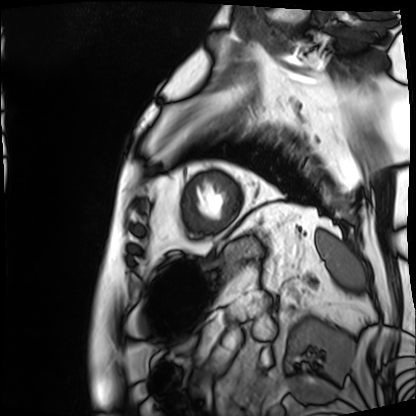
– modality · cardiac MRI
– subject group · patient